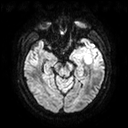
Q: What kind of scan is this?
A: 3 Tesla brain MRI.
Q: Series?
A: Diffusion tensor imaging (medium iso).
Study: ring-enhancing brain masses.